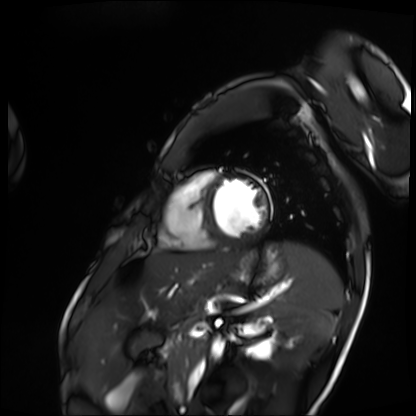
Q: What kind of scan is this?
A: Cardiac MRI.
Subject group: patient.